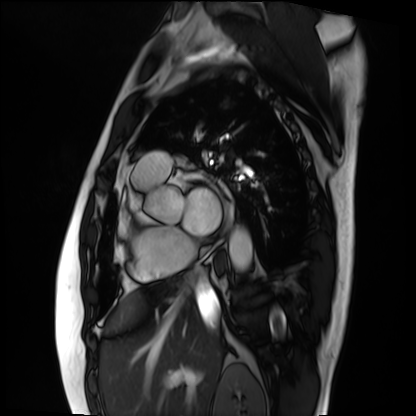
{
  "modality": "cardiac MRI",
  "cohort": "patient"
}